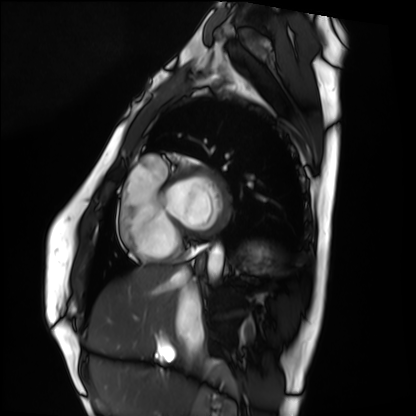
modality — cardiac MRI
subject group — healthy volunteer